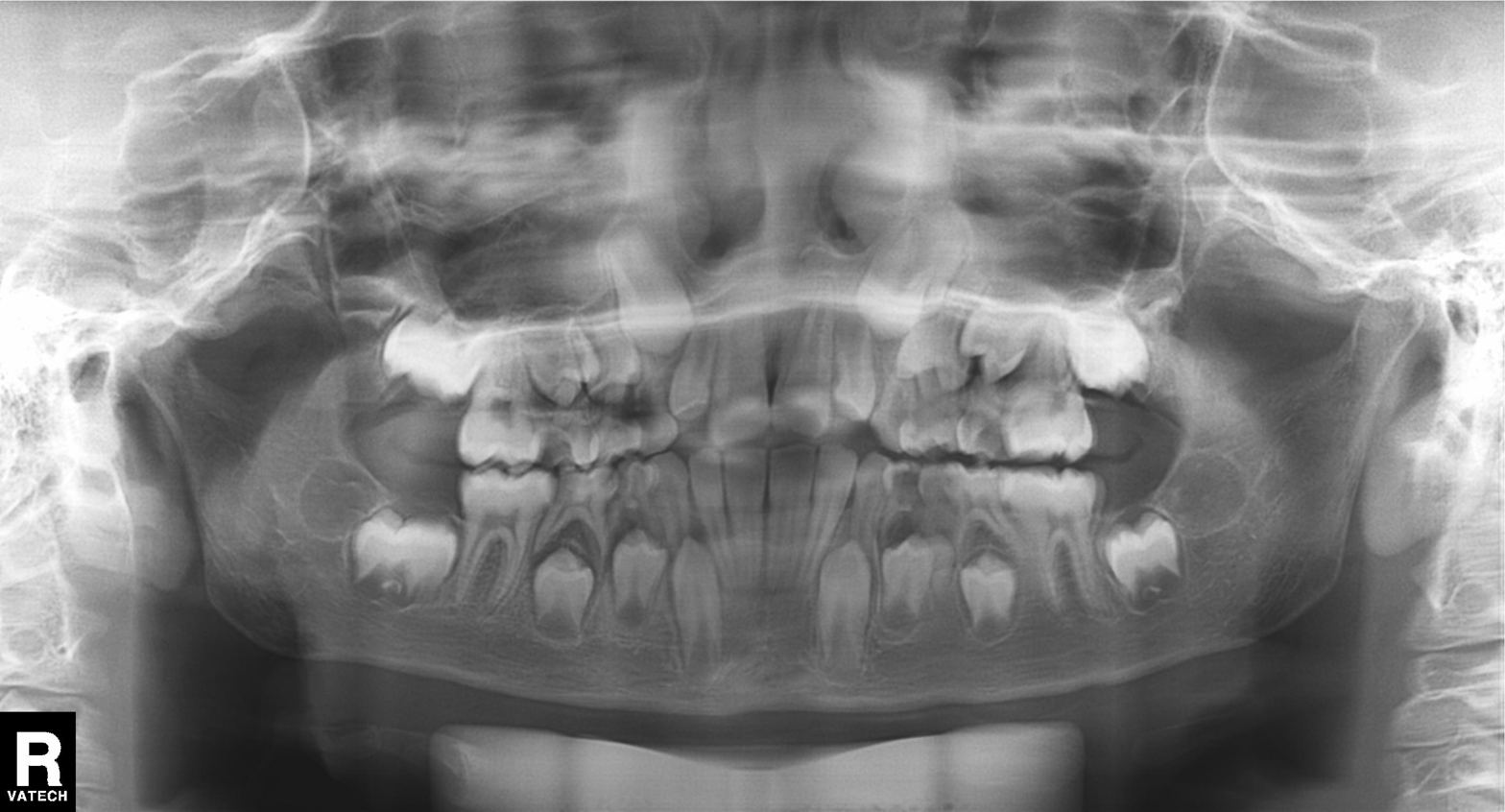
Case:
* modality — panoramic dental radiograph (orthopantomogram)
* finding — tooth impaction